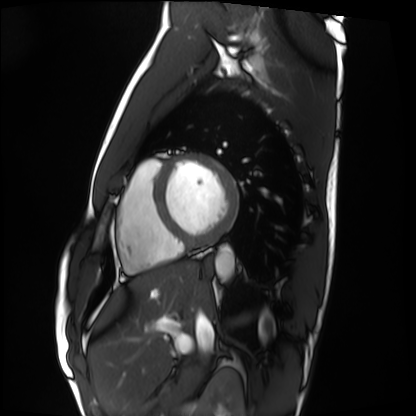
| field | value |
|---|---|
| modality | cardiac MRI |
| subject group | healthy volunteer |